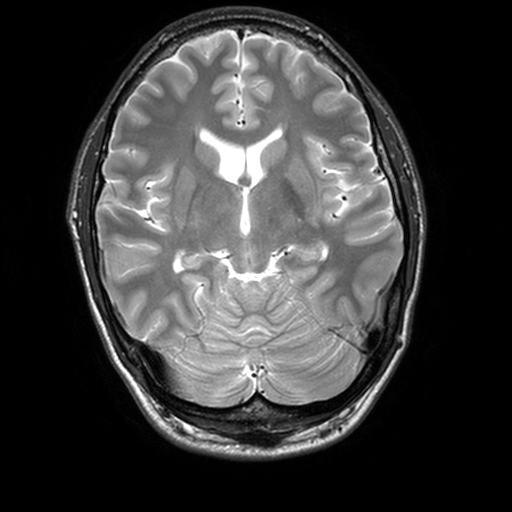
3 Tesla brain MRI. Series: T2-weighted turbo spin echo, 3 mm. Study: ring-enhancing brain masses.